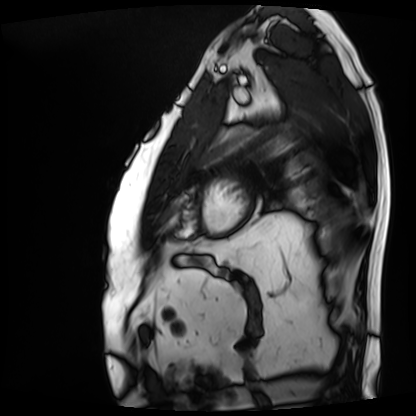
Case:
- modality — cardiac MRI
- subject group — patient